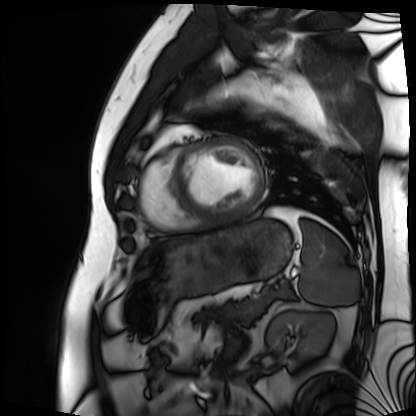
Summary:
Cardiac MRI. Subject group: patient.